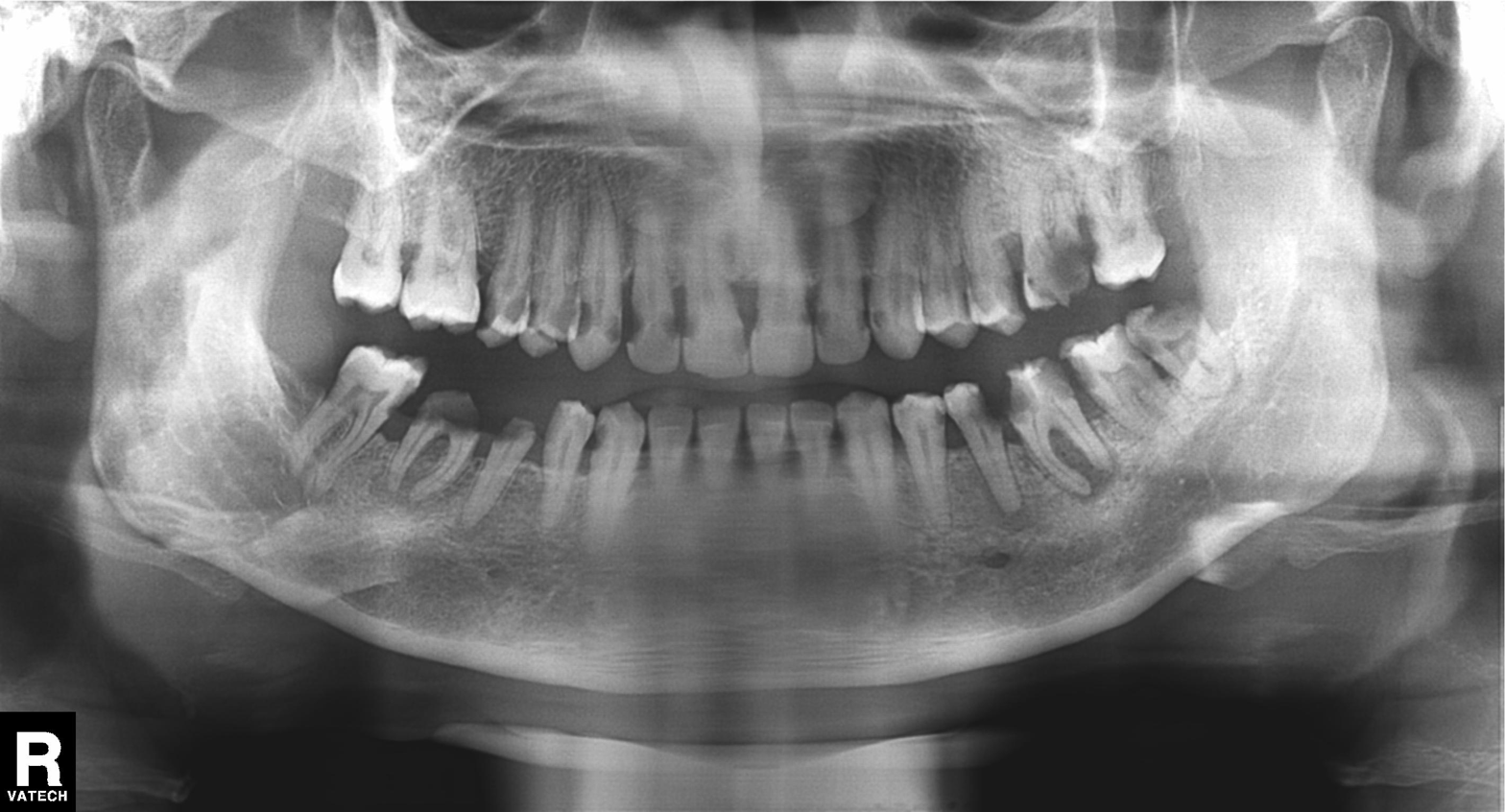
Panoramic dental radiograph (orthopantomogram).
Finding: tooth impaction.